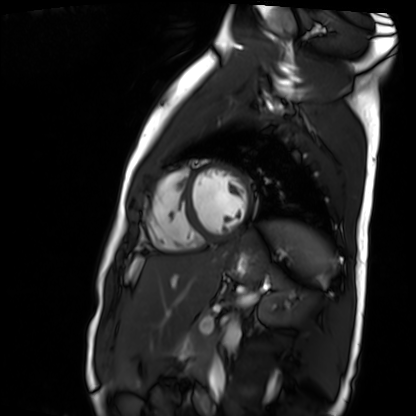
Summary: Cardiac MR image of the myocardium. Subject cohort: healthy volunteer.